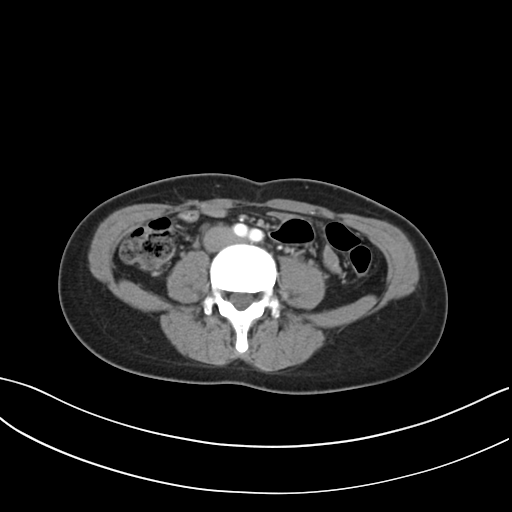
Multiphase abdominal CT, liver, arterial phase. Patient: female, age 32. History: prior chemotherapy.